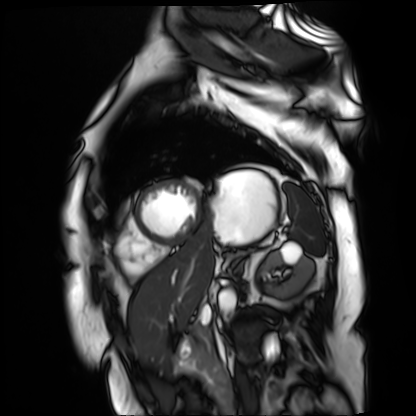
Cardiac MR image of the myocardium. Subject cohort: cardiac patient.